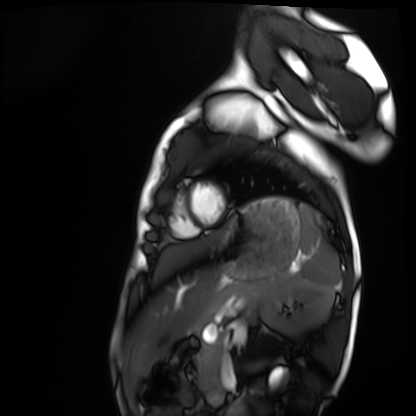
Cardiac MRI. Subject group: healthy volunteer.